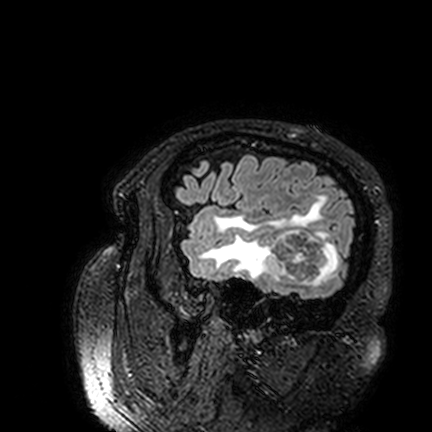
Case summary: 3 Tesla brain MRI. Series: FLAIR VISTA. Study: ring-enhancing brain masses.